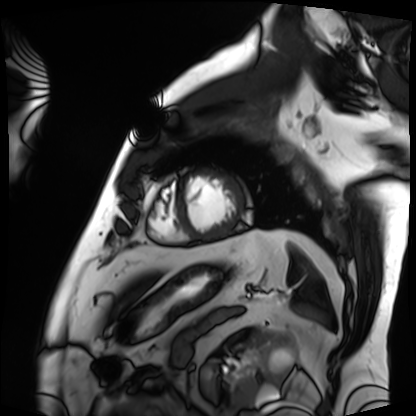
  modality: cardiac MRI
  cohort: patient